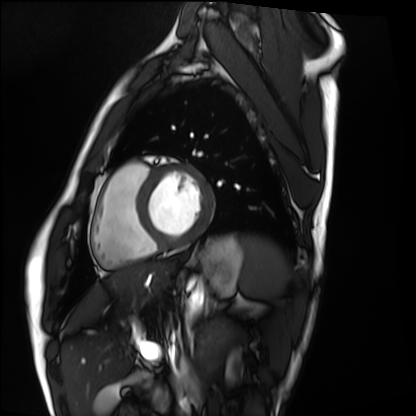
Case summary:
Cardiac MRI. Subject group: healthy volunteer.